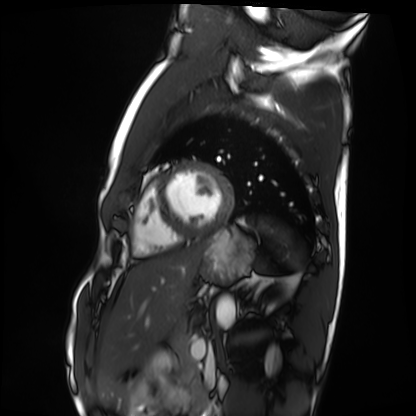
modality = cardiac MRI
subject group = healthy volunteer